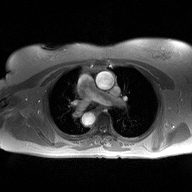
2D phase-contrast cine MRI of the ascending aorta, high-resolution GRAPPA acquisition.